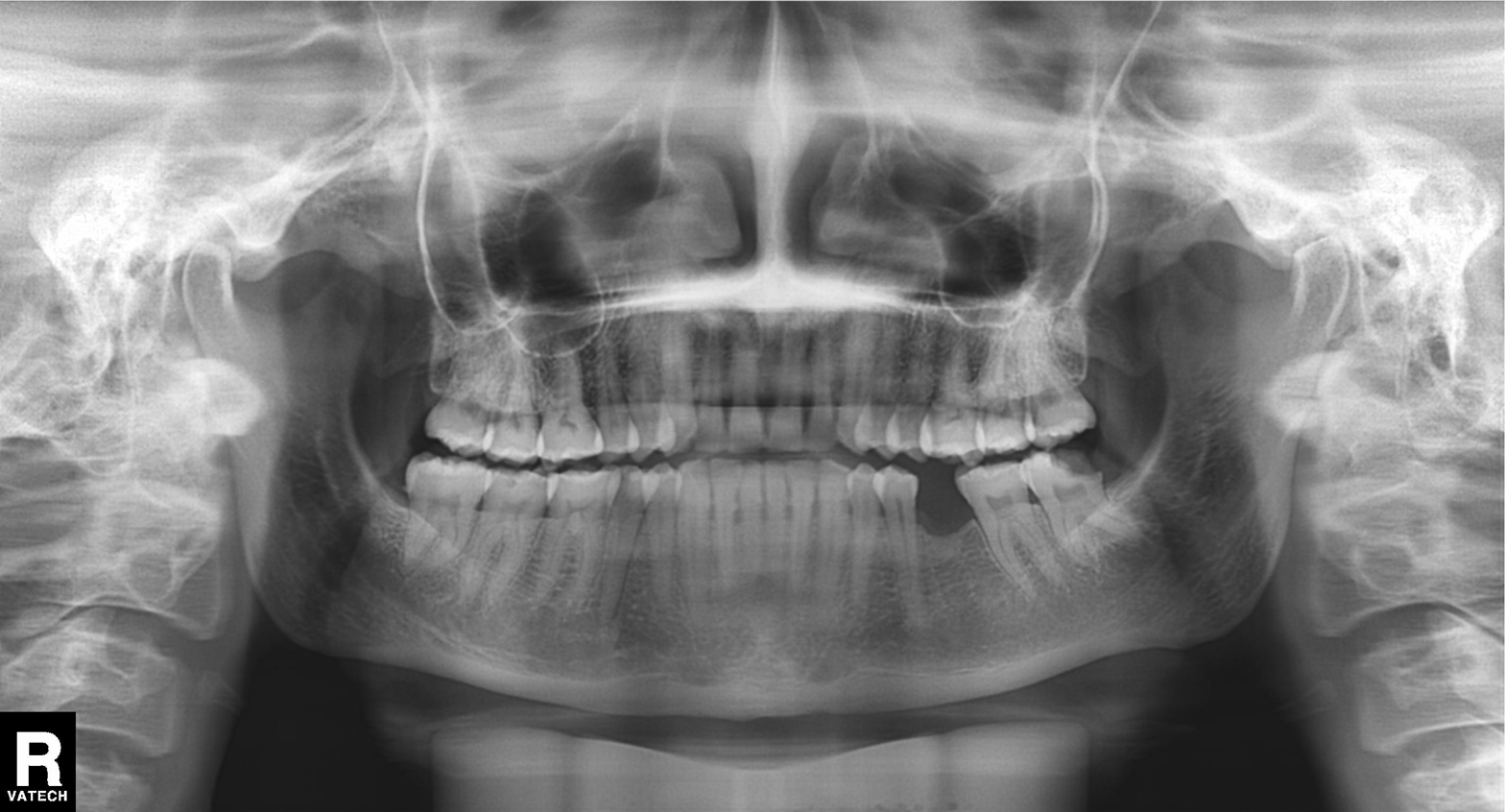
Case summary:
Panoramic dental radiograph (orthopantomogram).
Impression:
Dental caries (cavities).